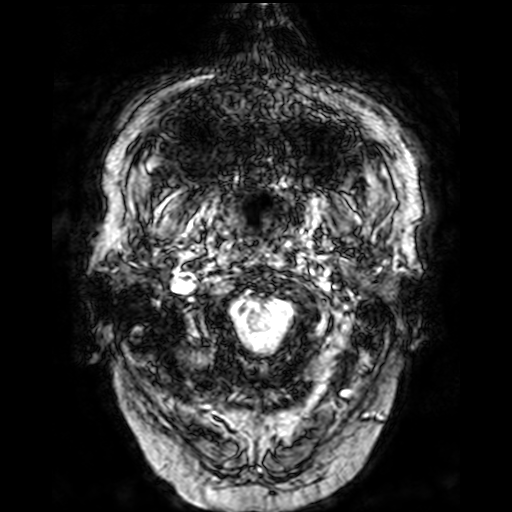
Summary: 3 Tesla brain MRI. Series: T2-weighted fast field echo. Study: ring-enhancing brain masses.